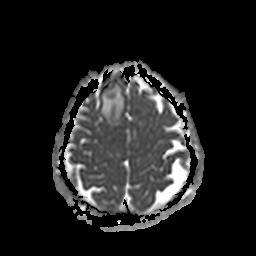
Case summary: 3 Tesla brain MRI. Study: ring-enhancing brain masses.